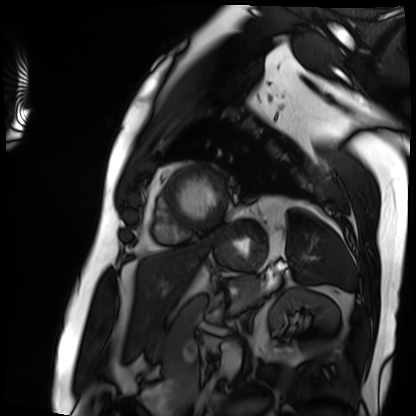
Cardiac MRI. Subject group: patient.